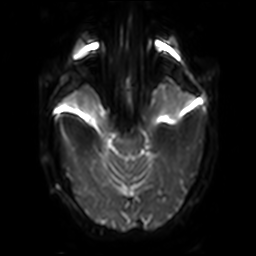
Case summary:
3 Tesla brain MRI. Series: diffusion-weighted imaging with SENSE (WIP). Study: ring-enhancing brain masses.